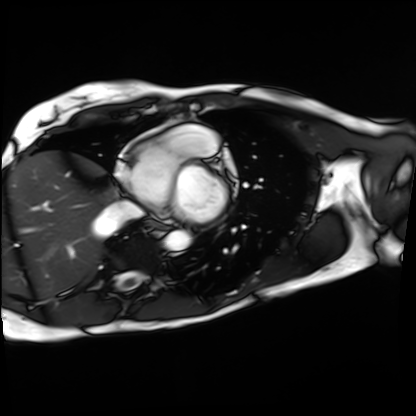
modality = cardiac MRI
subject group = patient